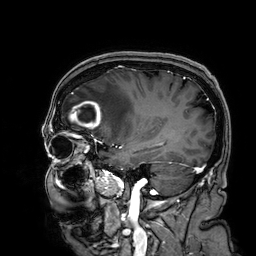
modality = 3 Tesla brain MRI
series = 3D T1-weighted
study = ring-enhancing brain masses